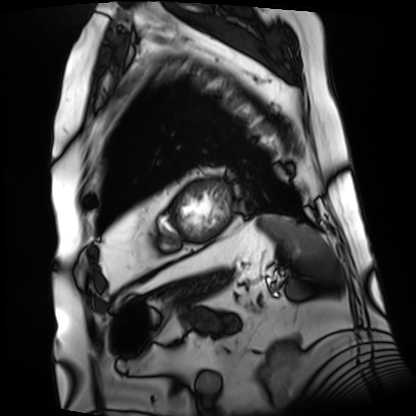
modality: cardiac MRI
subject group: patient